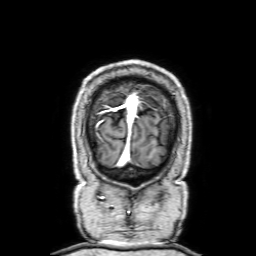
Q: What kind of scan is this?
A: 3 Tesla brain MRI.
Q: Series?
A: 3D T1-weighted with SENSE.
Study: ring-enhancing brain masses.